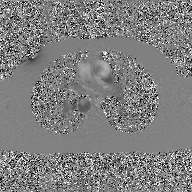
Summary: 2D phase-contrast cine MRI of the ascending aorta, GAN super-resolution reconstruction.